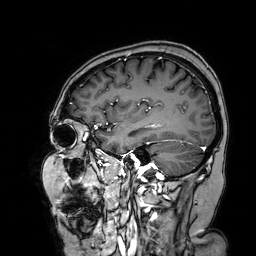
{
  "modality": {
    "type": "brain MRI",
    "field_strength": "3T"
  },
  "series": "3D T1-weighted turbo field echo with SENSE",
  "study_topic": "ring-enhancing brain masses"
}